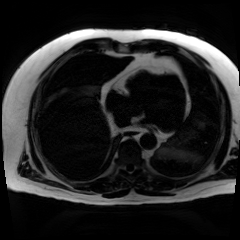
Case:
• modality · chemical-shift-encoded cardiac MRI